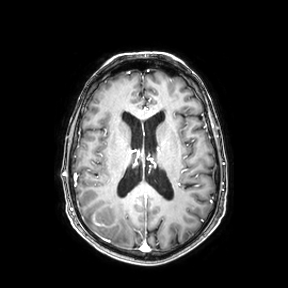
Summary:
3 Tesla brain MRI. Series: axial. Study: ring-enhancing brain masses.